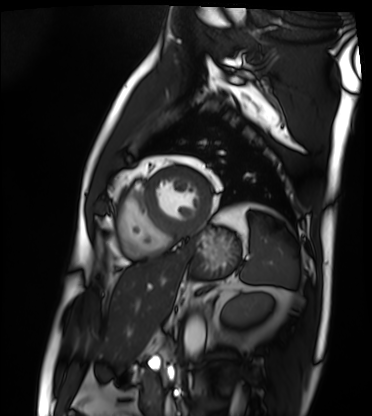
modality = cardiac MRI | subject group = patient.